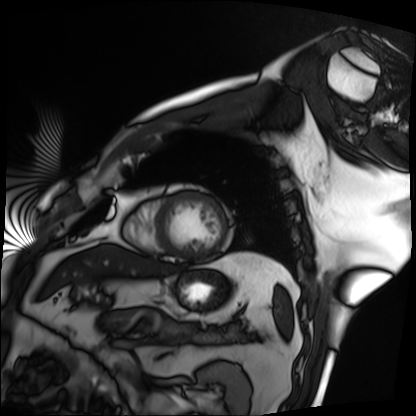
| field | value |
|---|---|
| modality | cardiac MRI |
| subject group | patient |